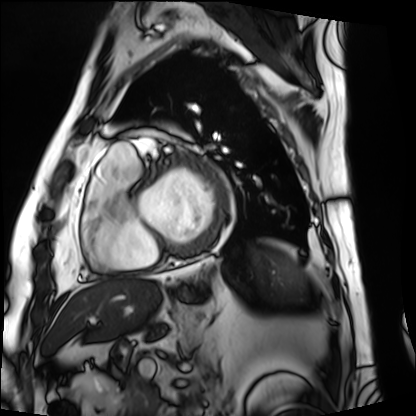
Summary:
Cardiac MRI. Subject group: patient.